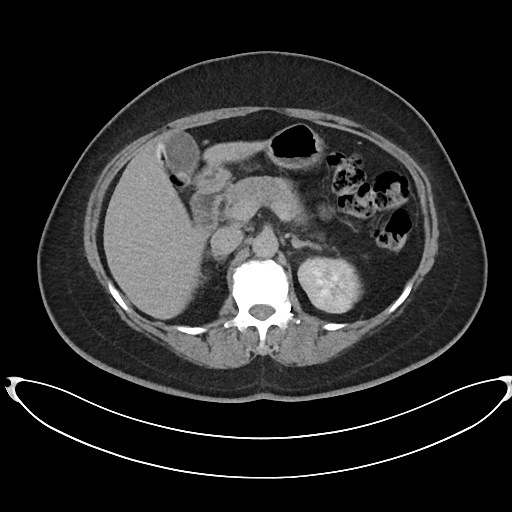
Multiphase abdominal CT, liver, delayed phase.
Patient: female, age 53.
History: prior chemotherapy.